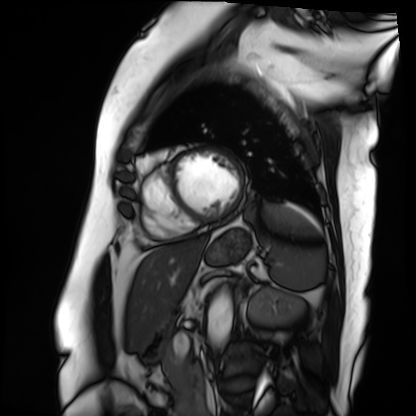
Cardiac MRI. Subject group: patient.